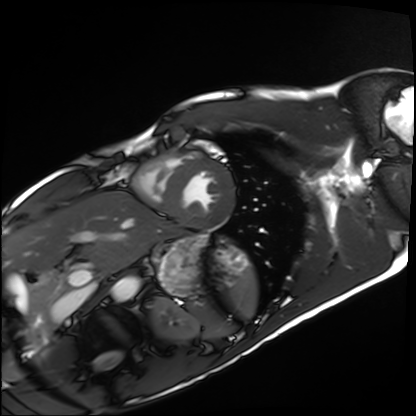
  modality: cardiac MRI
  cohort: healthy volunteer